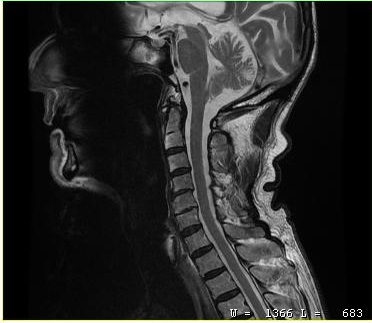
MRI of the cervical spine.
Study: cervical spondylosis.